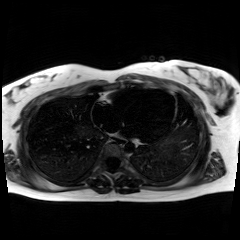
Clinical context: Chemical-shift-encoded cardiac MRI.